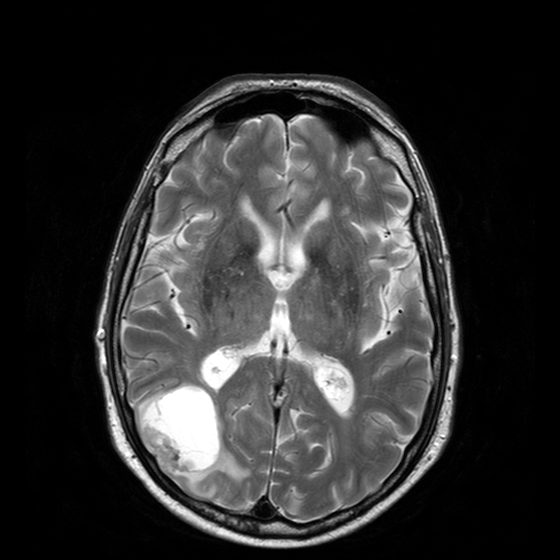
• modality: 3 Tesla brain MRI
• series: T2-weighted turbo spin echo with CLEAR
• study: ring-enhancing brain masses